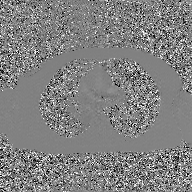
modality — 2D phase-contrast cine MRI of the ascending aorta, GAN super-resolution reconstruction